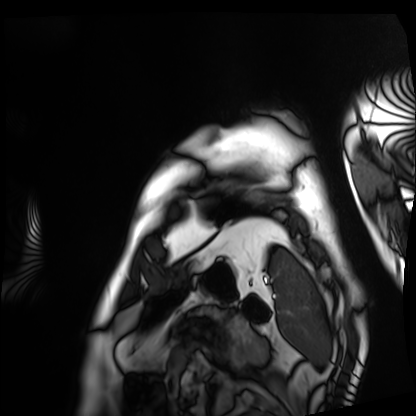
Cardiac MRI.
Subject group: patient.